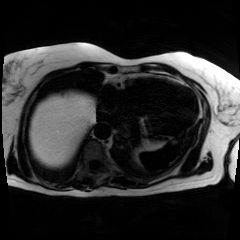
• modality: chemical-shift-encoded cardiac MRI